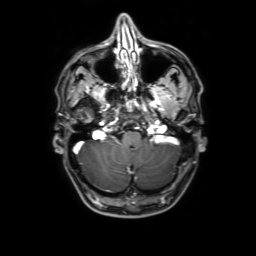
3 Tesla brain MRI.
Series: 3D T1-weighted with SENSE.
Study: ring-enhancing brain masses.